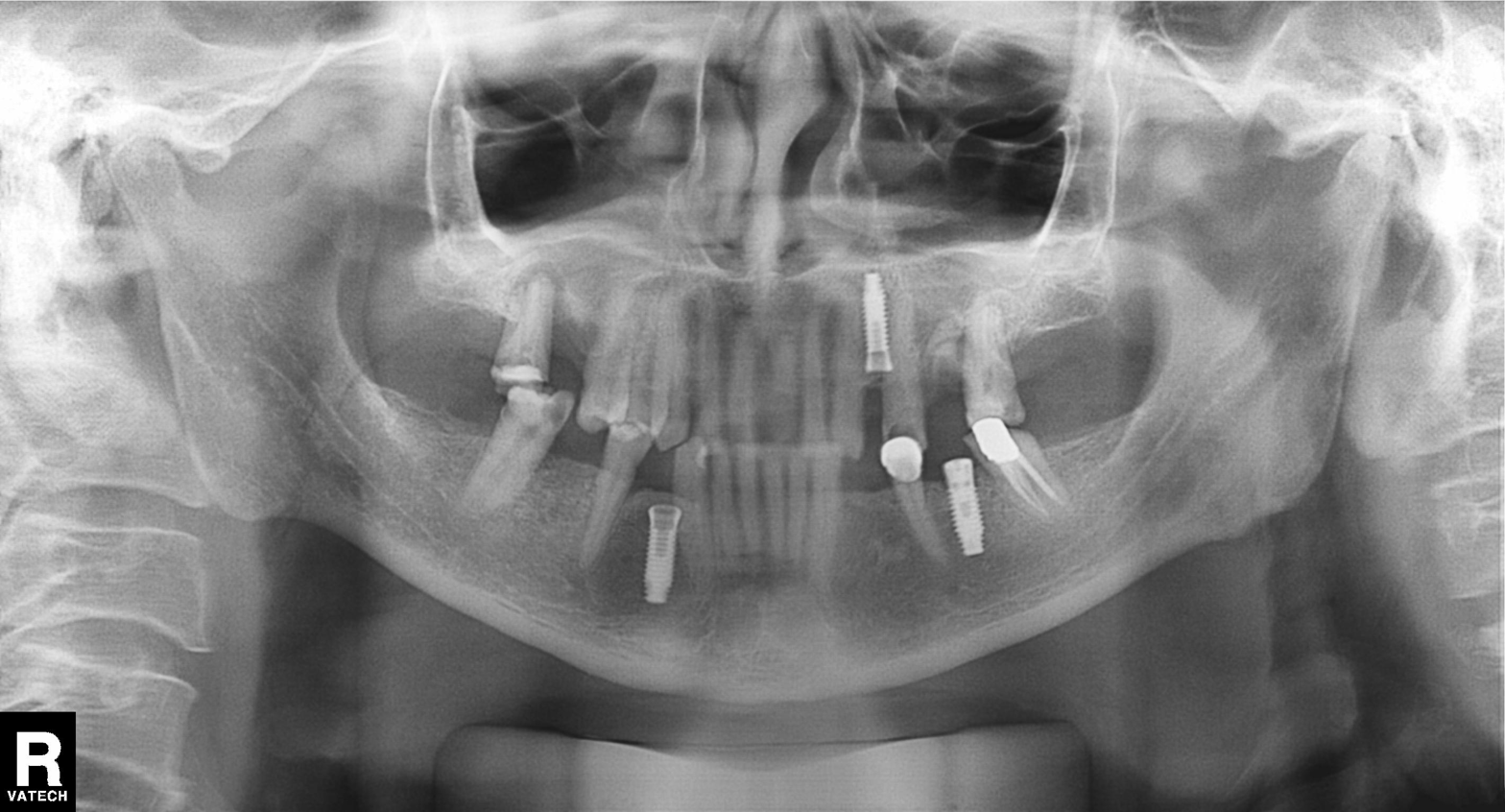
| feature | finding |
|---|---|
| modality | panoramic dental radiograph (orthopantomogram) |
| finding | alveolar bone loss |